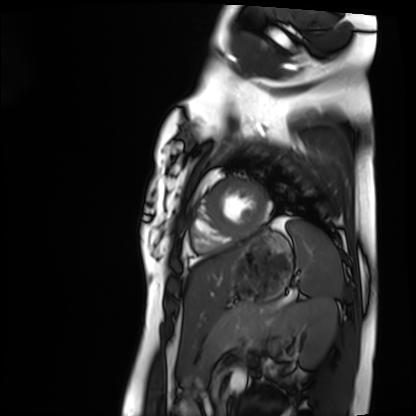
Case summary: Cardiac MRI. Subject group: healthy volunteer.